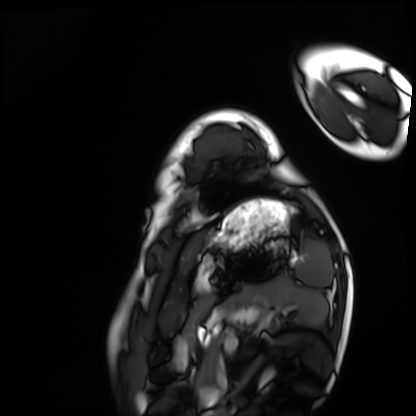
Cardiac MRI.
Subject group: healthy volunteer.